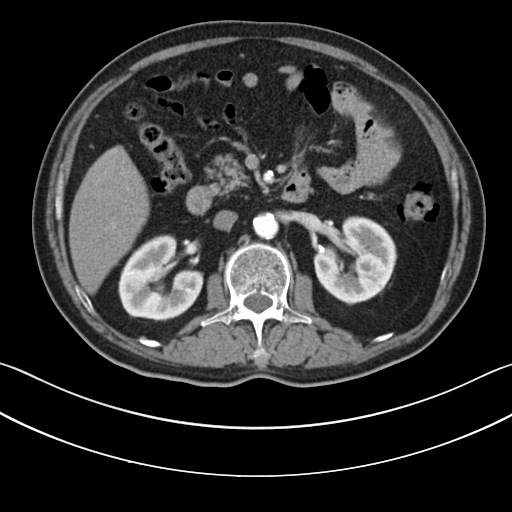
Q: What kind of scan is this?
A: Multiphase abdominal CT, liver, arterial phase.
Q: Patient?
A: Male, age 63.